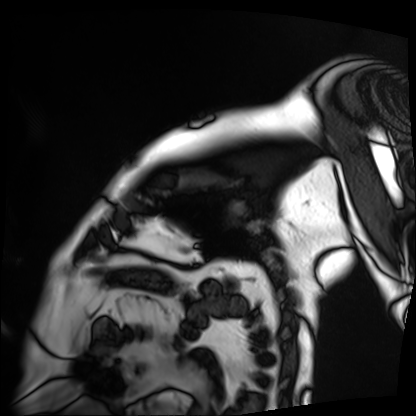
modality: cardiac MRI, subject group: patient.